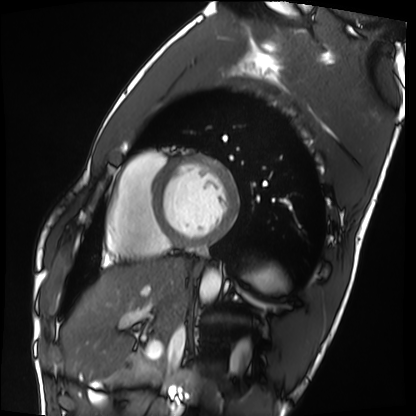
Cardiac MRI. Subject group: healthy volunteer.